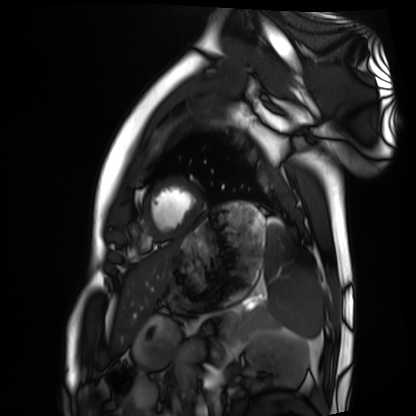
* modality: cardiac MRI
* subject group: healthy volunteer